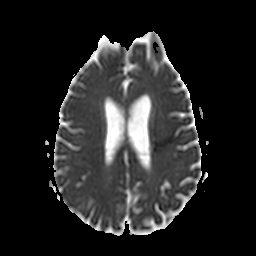
| field | value |
|---|---|
| modality | 3 Tesla brain MRI |
| study | ring-enhancing brain masses |